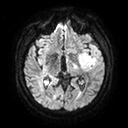
| field | value |
|---|---|
| modality | 3 Tesla brain MRI |
| series | diffusion tensor imaging (medium iso) |
| study | ring-enhancing brain masses |